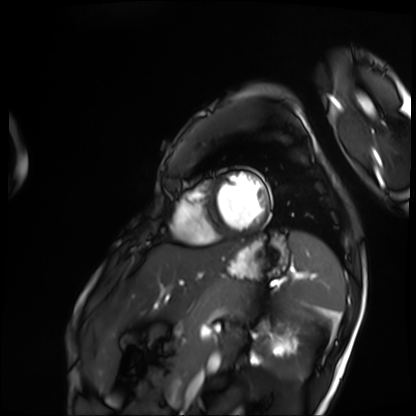
Summary: Cardiac MRI. Subject group: patient.